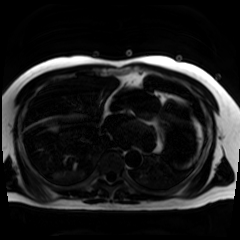
| field | value |
|---|---|
| modality | chemical-shift-encoded cardiac MRI |